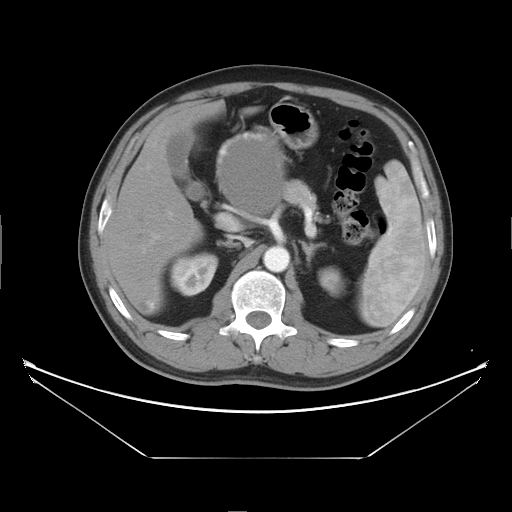
| field | value |
|---|---|
| modality | multiphase abdominal CT, liver, arterial phase |
| patient | male, age 47 |